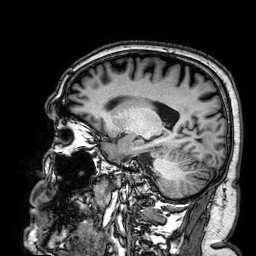
modality — 3 Tesla brain MRI; series — 3D T1-weighted; study — ring-enhancing brain masses.